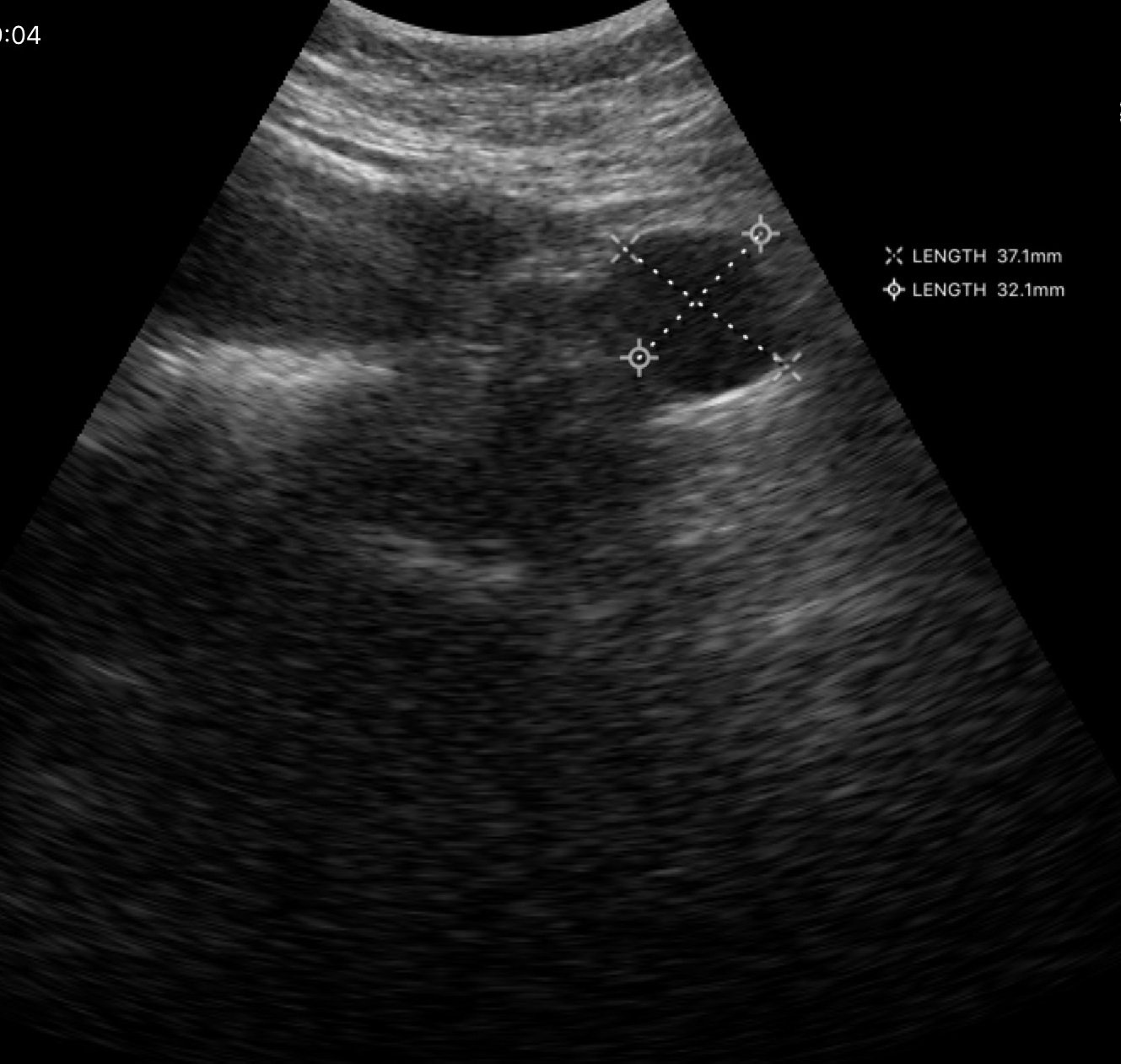
modality: genitourinary ultrasound.